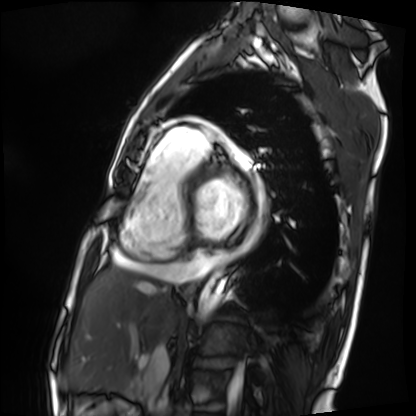
Cardiac MRI. Subject group: patient.